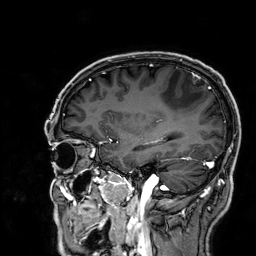
Clinical context: 3 Tesla brain MRI. Series: 3D T1-weighted. Study: ring-enhancing brain masses.